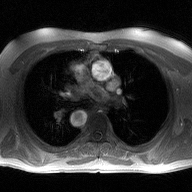
2D phase-contrast cine MRI of the ascending aorta, high-resolution GRAPPA acquisition.